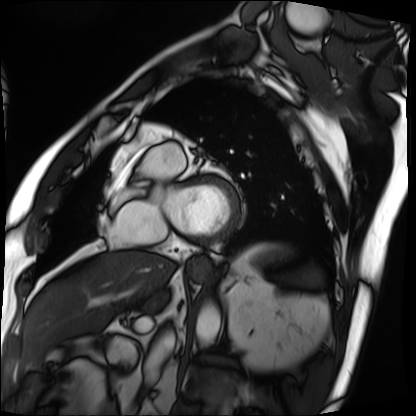
modality: cardiac MRI
cohort: patient